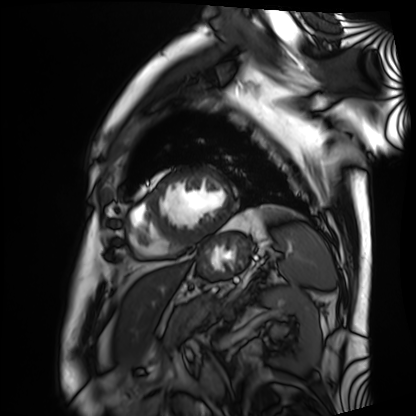
Cardiac MRI. Subject group: patient.